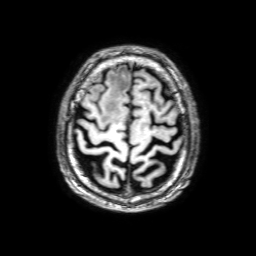
modality: 3 Tesla brain MRI; series: 3D T1-weighted with SENSE; study: ring-enhancing brain masses.